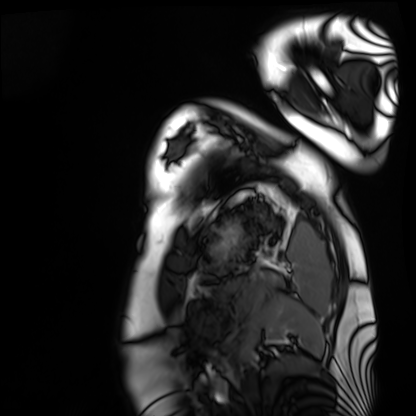
modality = cardiac MRI, subject group = healthy volunteer.